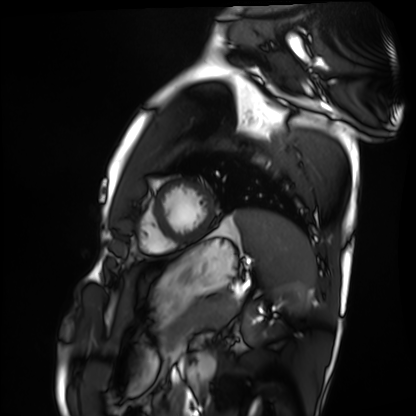
modality: cardiac MRI; subject group: healthy volunteer.